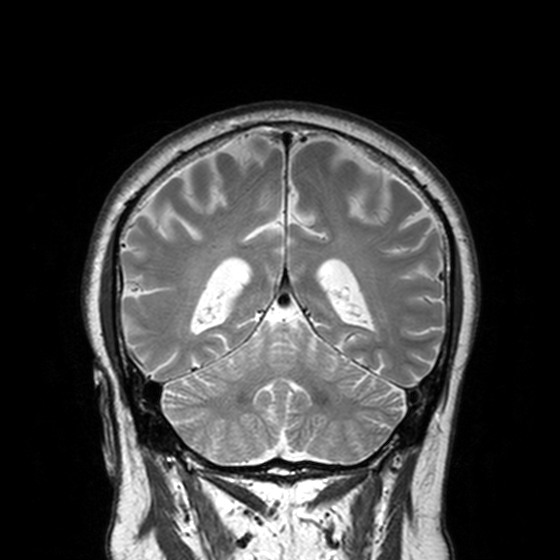
Q: What kind of scan is this?
A: 3 Tesla brain MRI.
Q: Series?
A: T2-weighted turbo spin echo, 3 mm.
Study: ring-enhancing brain masses.